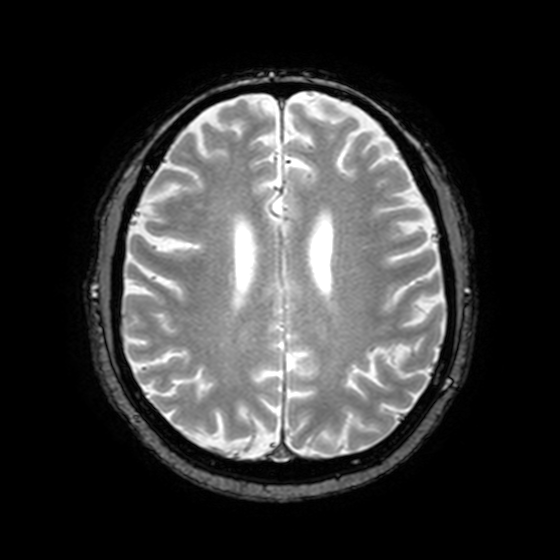
3 Tesla brain MRI. Series: T2-weighted fast field echo with SENSE. Study: ring-enhancing brain masses.